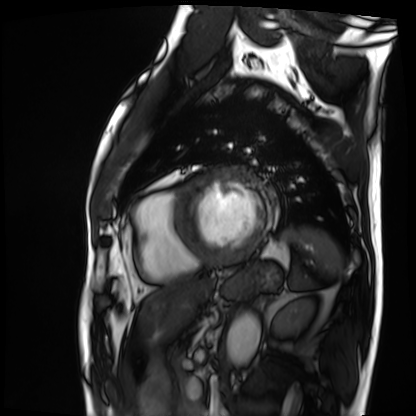
Cardiac MRI. Subject group: patient.